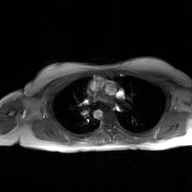
Q: What kind of scan is this?
A: 2D phase-contrast cine MRI of the ascending aorta, GAN super-resolution reconstruction.